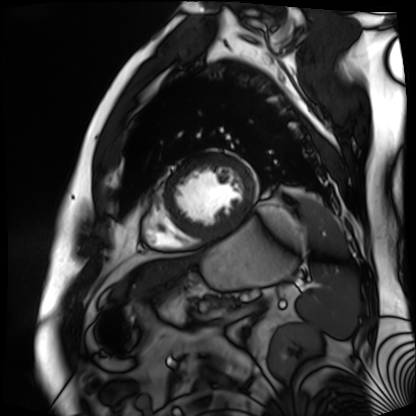
Summary: Cardiac MR image of the myocardium. Subject cohort: cardiac patient.